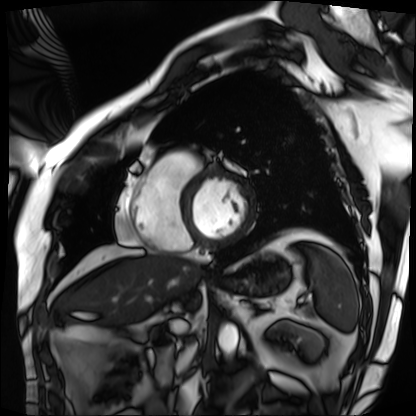
Cardiac MRI.
Subject group: patient.